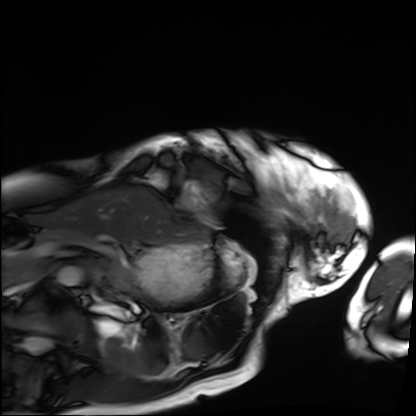
– modality: cardiac MRI
– subject group: patient